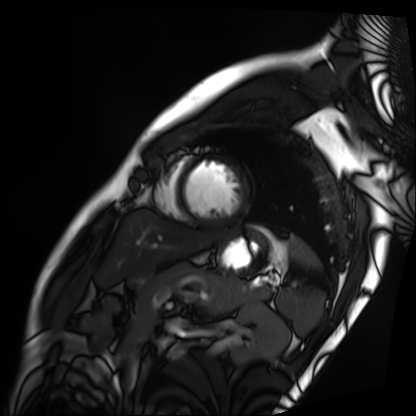
Case summary:
Cardiac MRI. Subject group: patient.